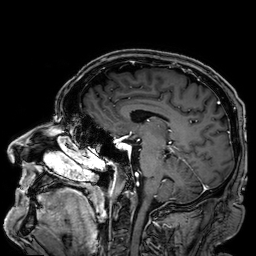
3 Tesla brain MRI.
Study: ring-enhancing brain masses.